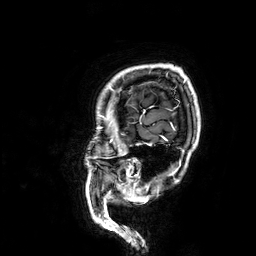
{
  "modality": {
    "type": "brain MRI",
    "field_strength": "3T"
  },
  "series": "3D T1-weighted",
  "study_topic": "ring-enhancing brain masses"
}